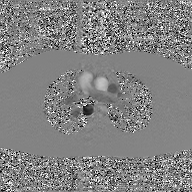
Case summary:
2D phase-contrast cine MRI of the ascending aorta, GAN super-resolution reconstruction.